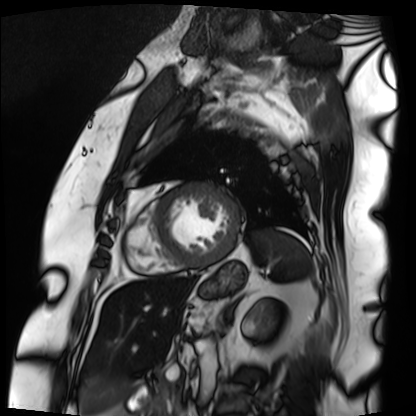
modality — cardiac MRI
subject group — patient